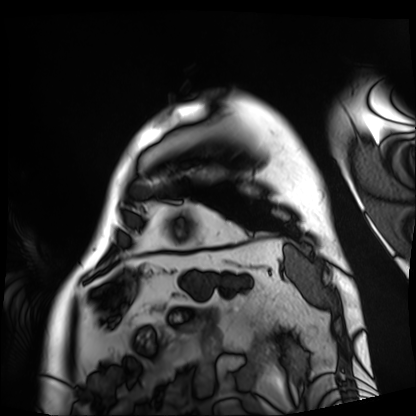
modality: cardiac MRI, subject group: patient.